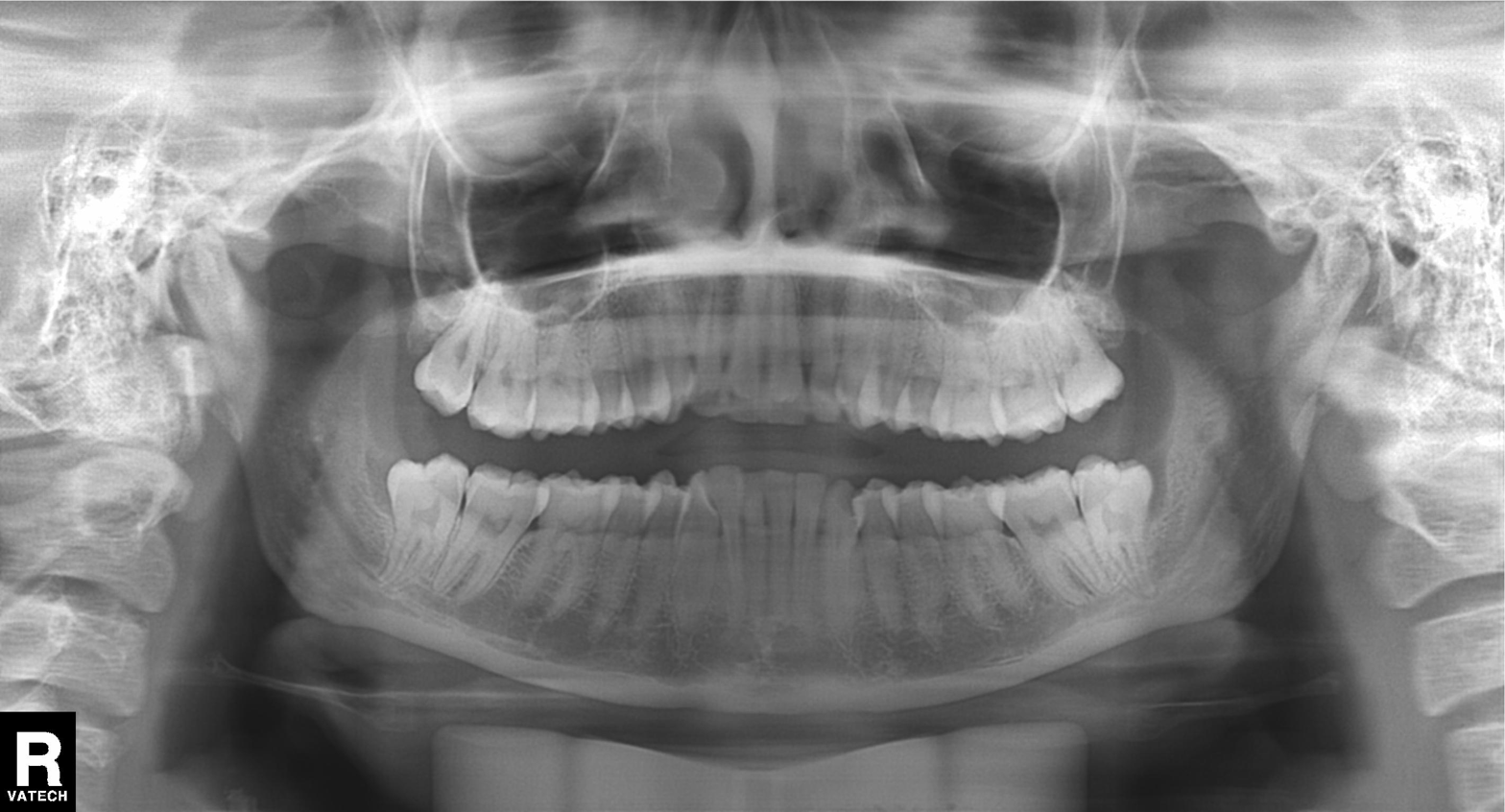
– modality · panoramic dental radiograph (orthopantomogram)
– finding · tooth impaction